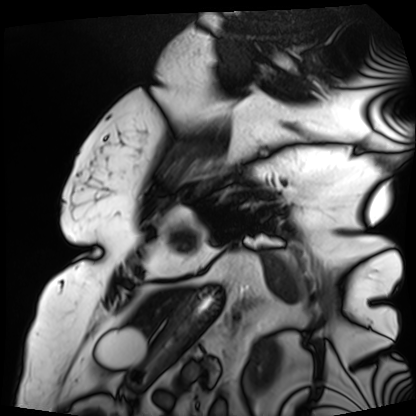
Summary:
Cardiac MRI. Subject group: patient.